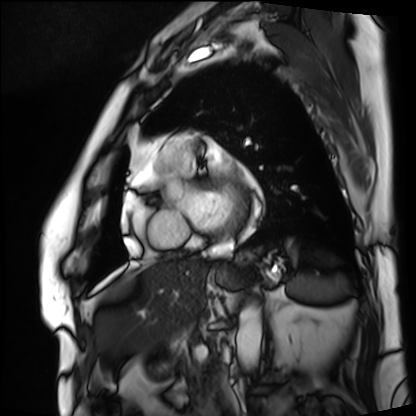
Clinical context:
Cardiac MRI. Subject group: patient.